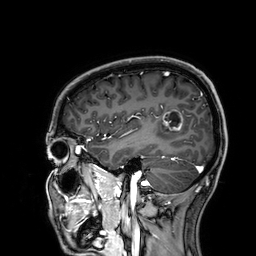
3 Tesla brain MRI. Series: 3D T1-weighted. Study: ring-enhancing brain masses.